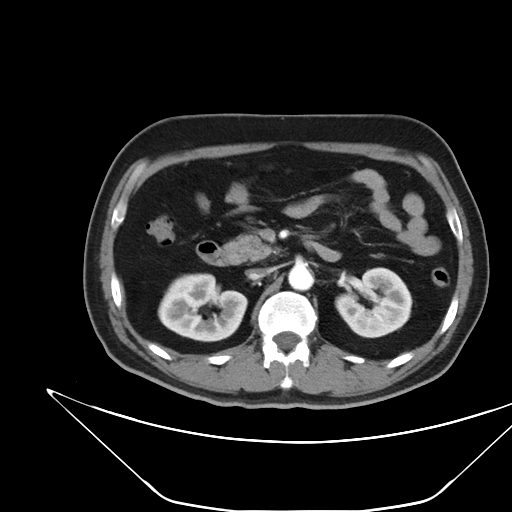
modality: multiphase abdominal CT, liver, arterial phase | patient: male, age 52.